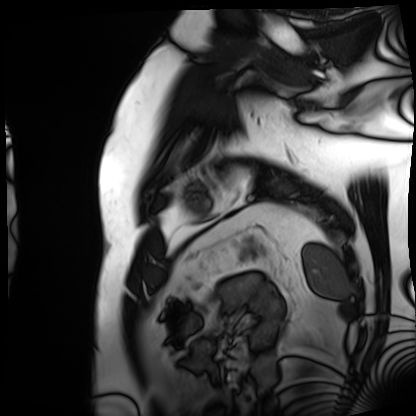
Summary: Cardiac MRI. Subject group: patient.